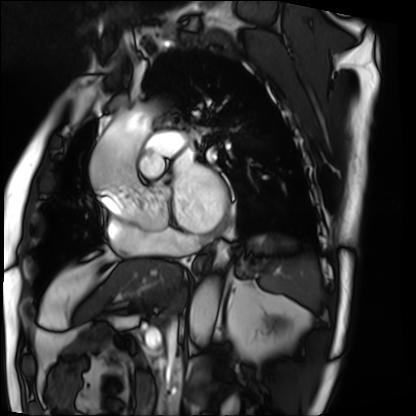
modality: cardiac MRI
subject group: patient